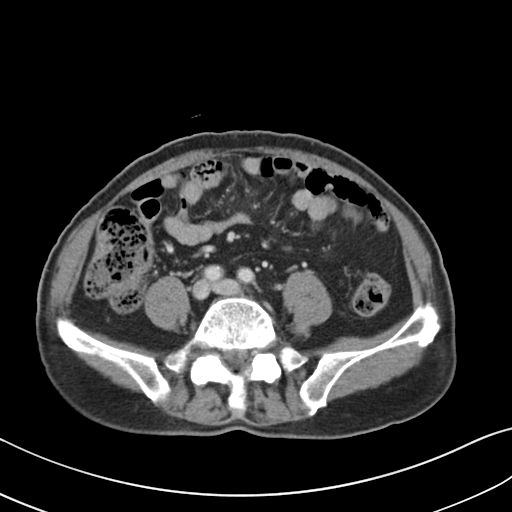
* modality — multiphase abdominal CT, liver, portal venous phase
* patient — male, age 75
* history — prior chemotherapy